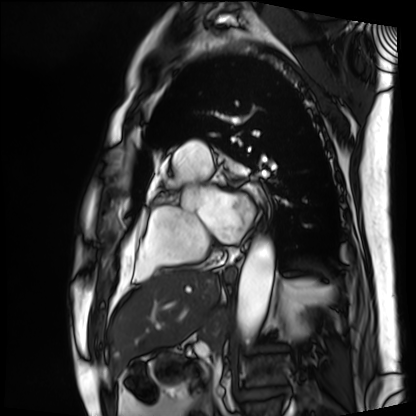
Q: What kind of scan is this?
A: Cardiac MRI.
Subject group: patient.